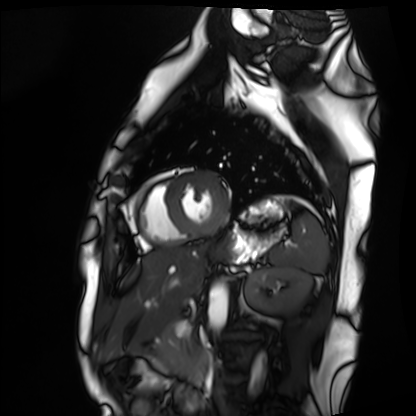
Cardiac MRI. Subject group: healthy volunteer.